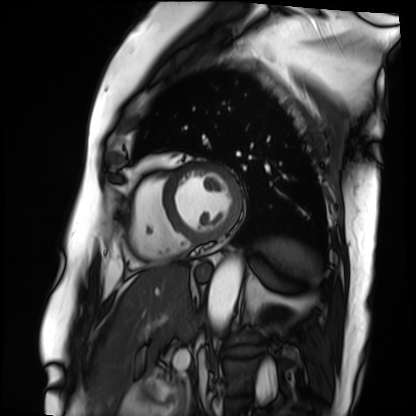
Summary:
Cardiac MRI. Subject group: patient.